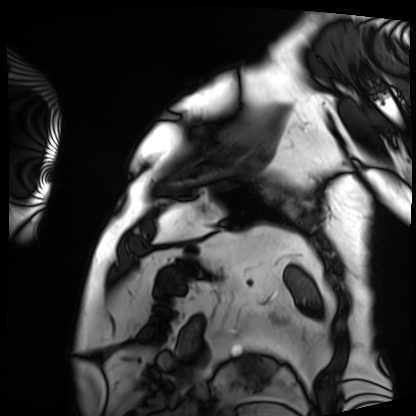
modality: cardiac MRI; subject group: patient.